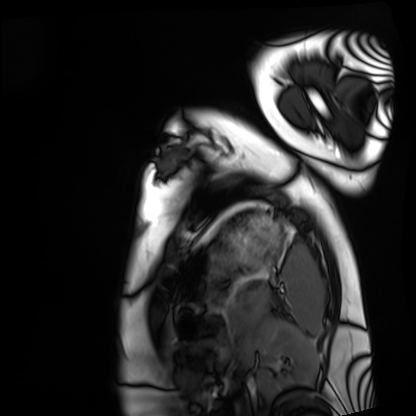
| field | value |
|---|---|
| modality | cardiac MRI |
| subject group | healthy volunteer |